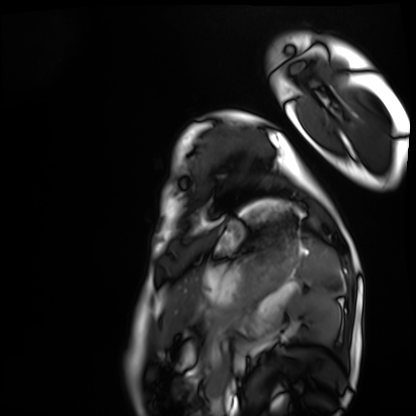
Cardiac MRI. Subject group: healthy volunteer.